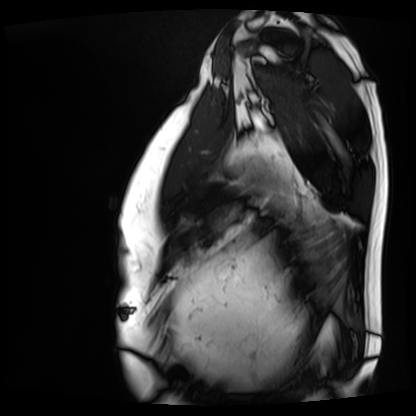
Cardiac MRI. Subject group: patient.